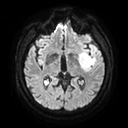
3 Tesla brain MRI. Series: diffusion tensor imaging (medium iso). Study: ring-enhancing brain masses.